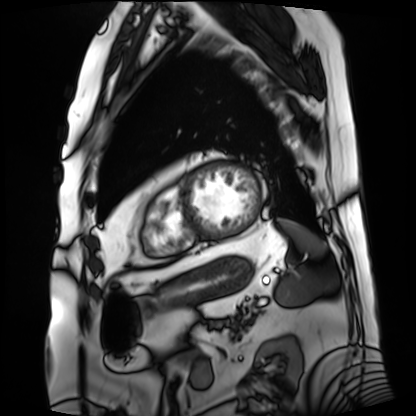
Cardiac MRI.
Subject group: patient.